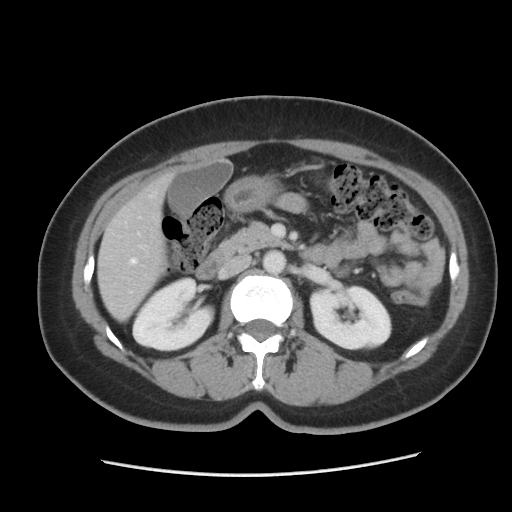
Multiphase abdominal CT, liver, portal venous phase.
Patient: female, age 46.
History: prior chemotherapy.